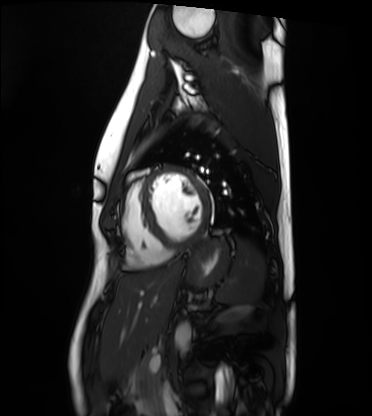
Cardiac MRI. Subject group: healthy volunteer.